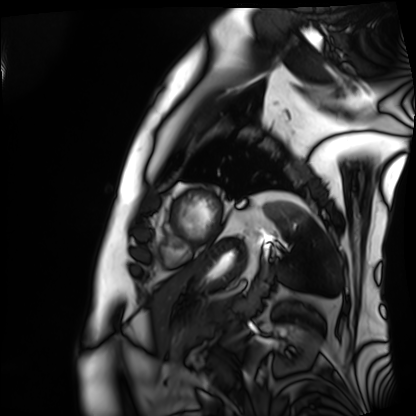
modality: cardiac MRI
subject group: patient